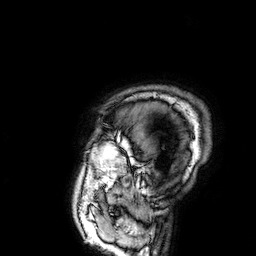
3 Tesla brain MRI. Series: 3D T1-weighted. Study: ring-enhancing brain masses.